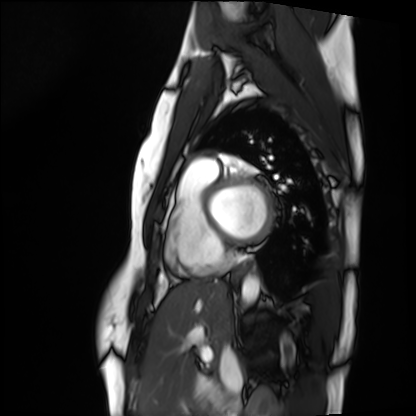
Cardiac MRI. Subject group: healthy volunteer.